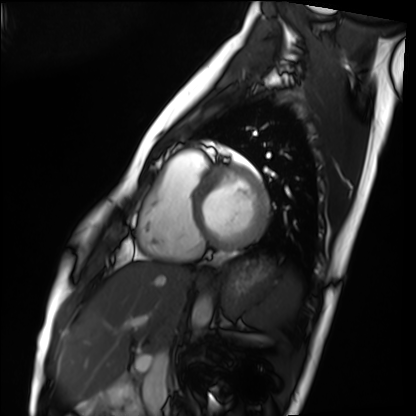
Summary: Cardiac MRI. Subject group: healthy volunteer.